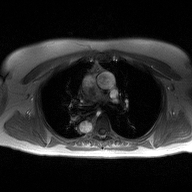
2D phase-contrast cine MRI of the ascending aorta, high-resolution GRAPPA acquisition.